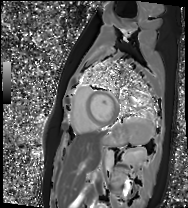
Cardiac MR image of the myocardium. Subject cohort: healthy volunteer.